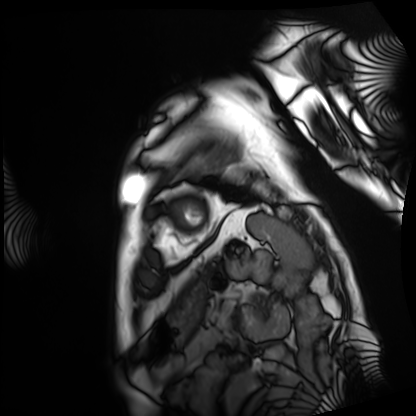
modality: cardiac MRI | subject group: patient.